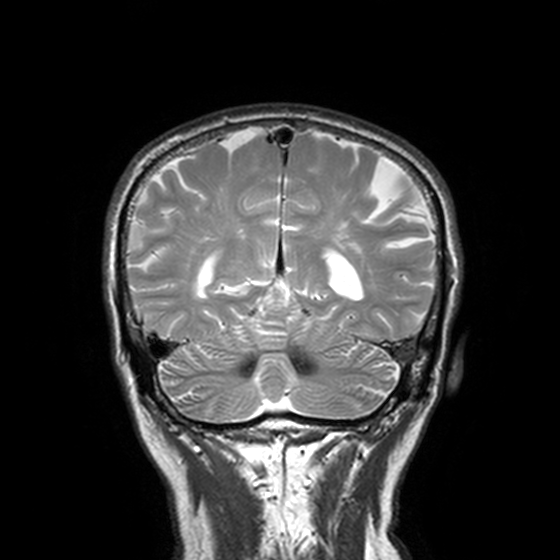
  modality:
    type: brain MRI
    field_strength: 3T
  series: T2-weighted turbo spin echo, 3 mm
  study_topic: ring-enhancing brain masses